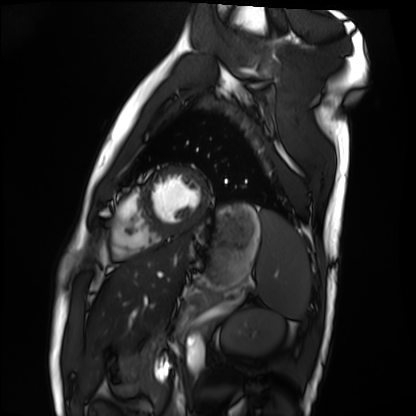
modality = cardiac MRI; subject group = healthy volunteer.